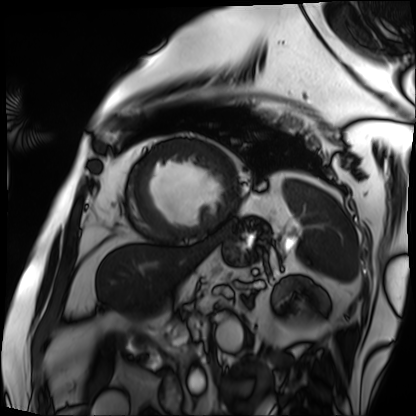
• modality — cardiac MRI
• subject group — patient